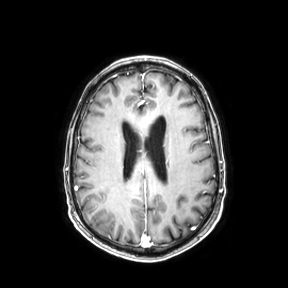
{"modality": {"type": "brain MRI", "field_strength": "3T"}, "series": "axial", "study_topic": "ring-enhancing brain masses"}